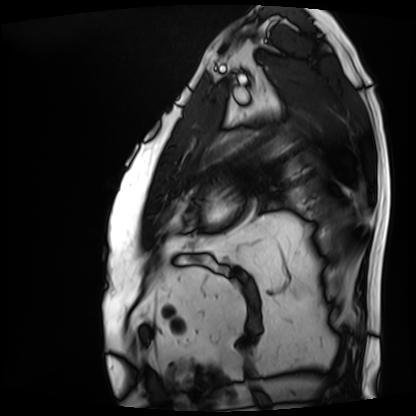
{"modality": "cardiac MRI", "cohort": "patient"}